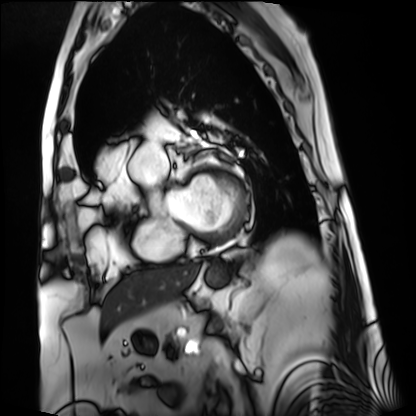
{"modality": "cardiac MRI", "cohort": "patient"}